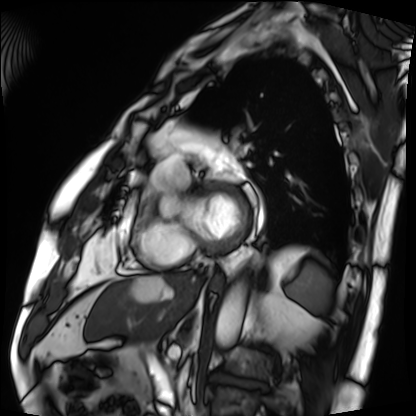
| field | value |
|---|---|
| modality | cardiac MRI |
| subject group | patient |